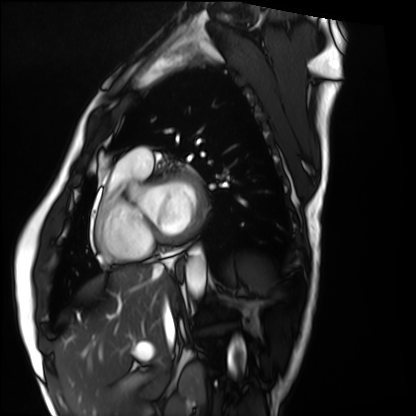
Cardiac MRI. Subject group: healthy volunteer.